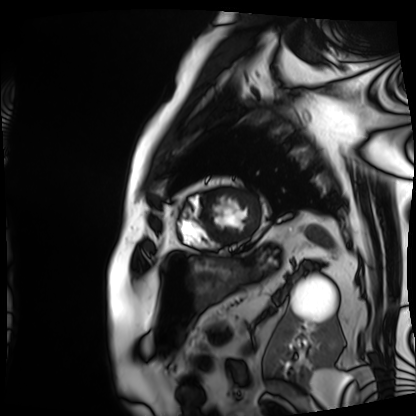
modality = cardiac MRI | subject group = patient.